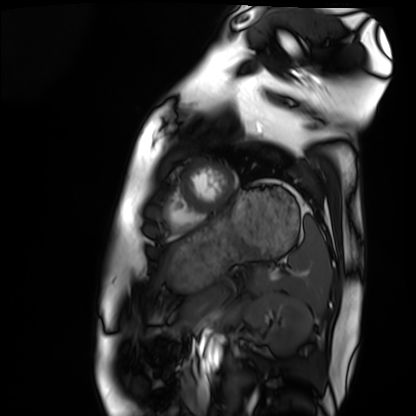
Case summary: Cardiac MRI. Subject group: healthy volunteer.